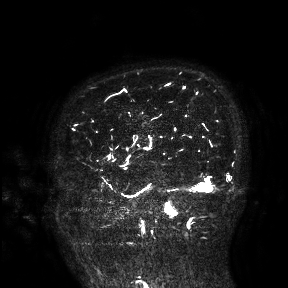
Clinical context:
3 Tesla brain MRI. Study: ring-enhancing brain masses.